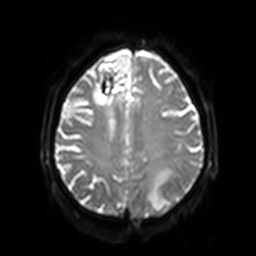
Summary: 3 Tesla brain MRI. Series: diffusion-weighted imaging with SENSE (WIP). Study: ring-enhancing brain masses.